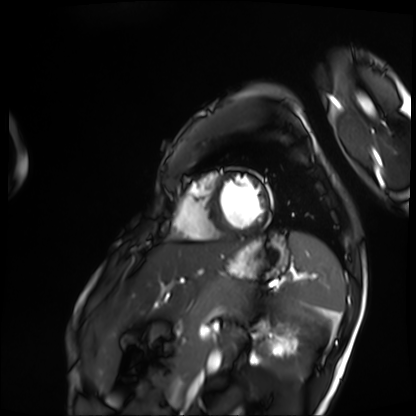
Cardiac MRI. Subject group: patient.